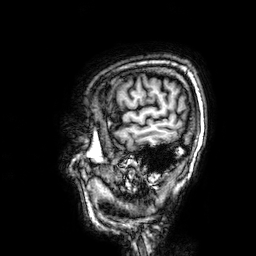
{"modality": {"type": "brain MRI", "field_strength": "3T"}, "series": "3D T1-weighted", "study_topic": "ring-enhancing brain masses"}